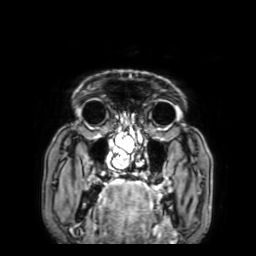
Summary: 3 Tesla brain MRI. Study: ring-enhancing brain masses.